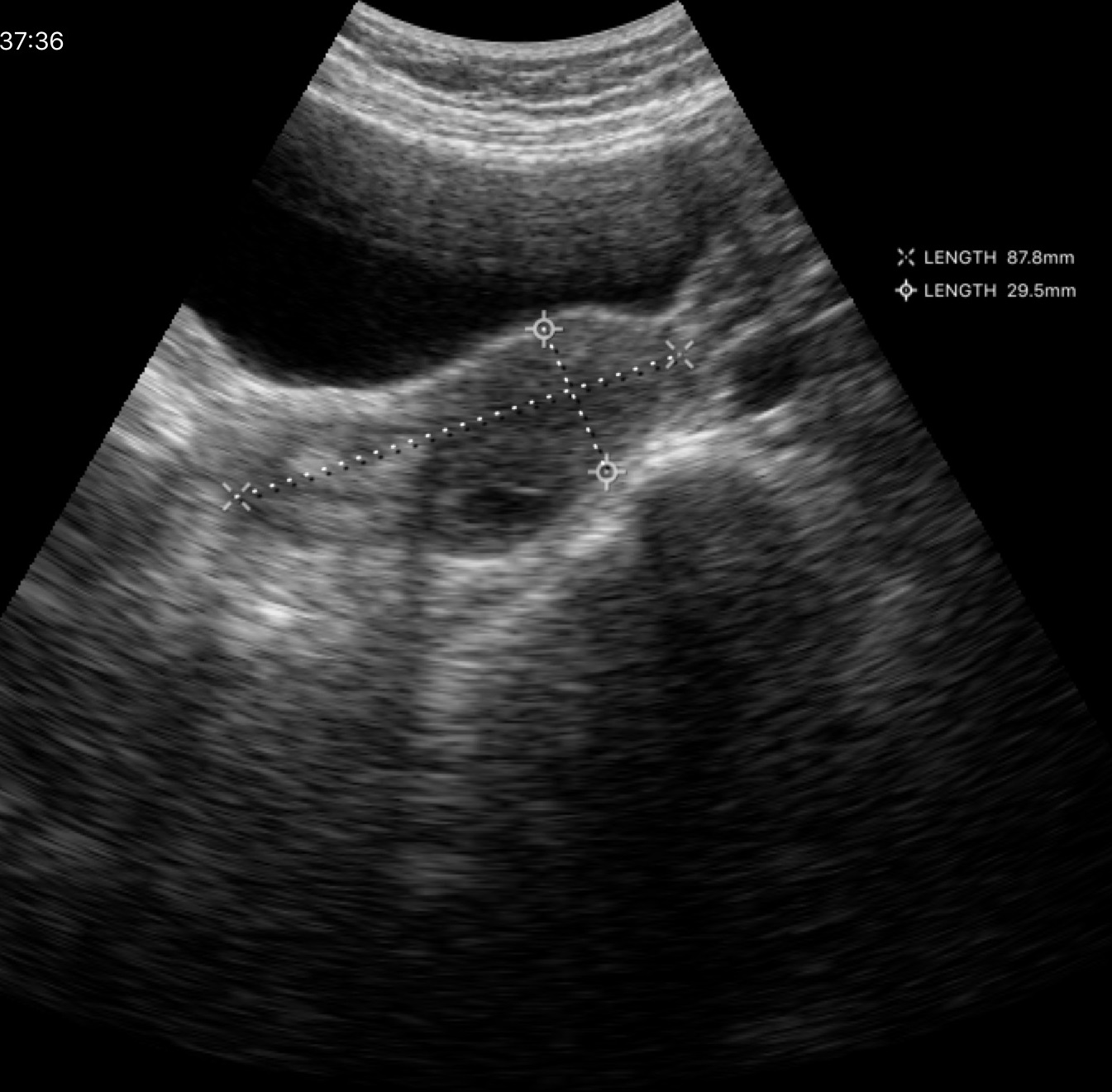
Clinical context: Genitourinary ultrasound.